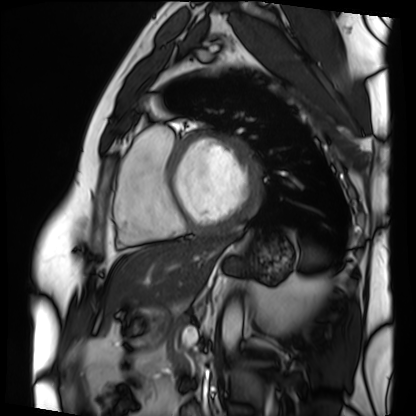
modality=cardiac MRI | subject group=patient.